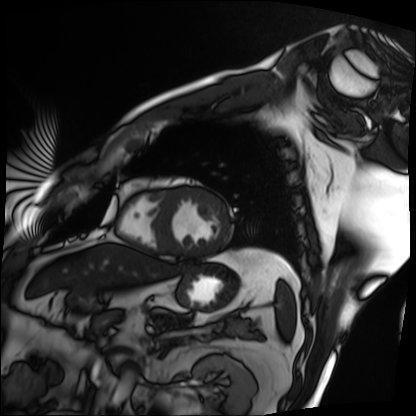
- modality — cardiac MRI
- subject group — patient